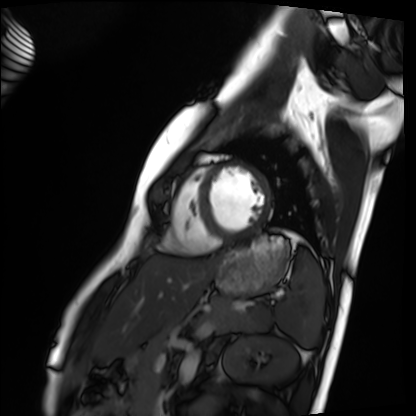
Cardiac MRI. Subject group: healthy volunteer.